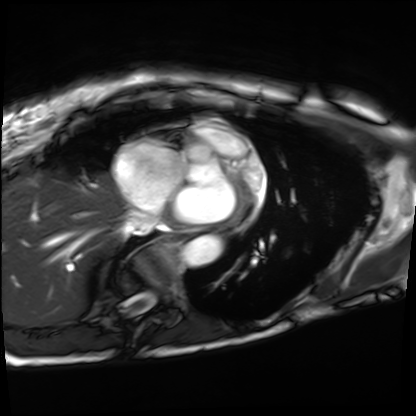
Cardiac MRI. Subject group: patient.